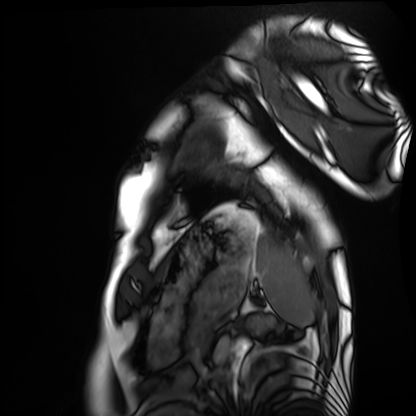
{
  "modality": "cardiac MRI",
  "cohort": "healthy volunteer"
}